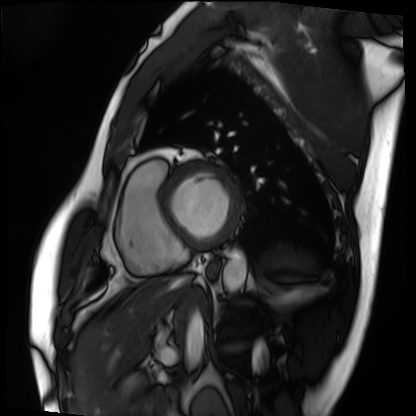
Cardiac MRI. Subject group: patient.